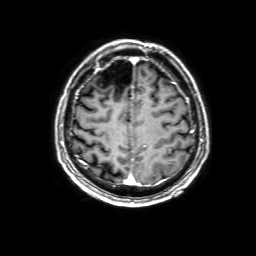
• modality · 3 Tesla brain MRI
• series · 3D T1-weighted with SENSE
• study · ring-enhancing brain masses